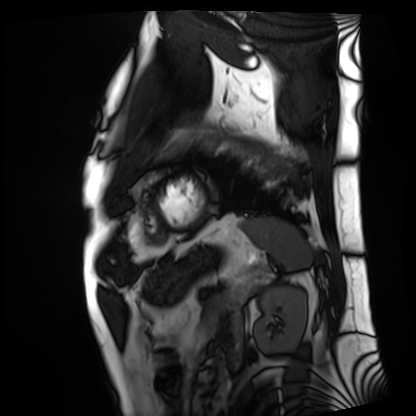
Cardiac MRI. Subject group: patient.